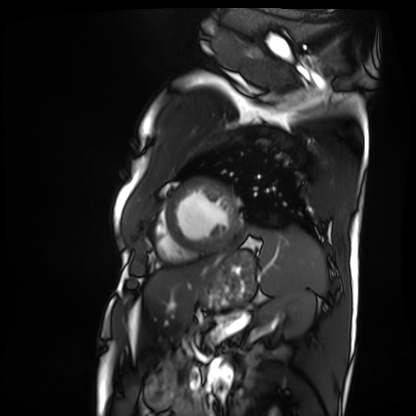
Cardiac MRI.
Subject group: patient.